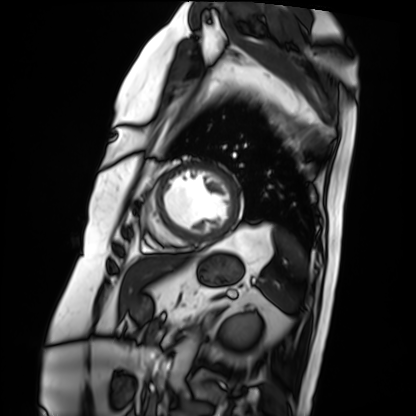
Clinical context:
Cardiac MRI. Subject group: patient.